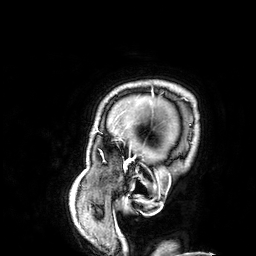
  modality:
    type: brain MRI
    field_strength: 3T
  series: 3D T1-weighted
  study_topic: ring-enhancing brain masses